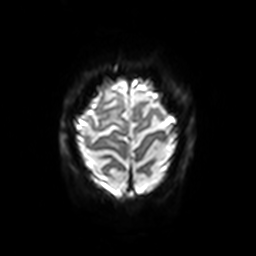
3 Tesla brain MRI.
Series: diffusion-weighted imaging with SENSE (WIP).
Study: ring-enhancing brain masses.